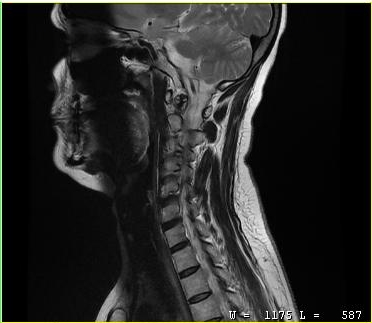
Q: What kind of scan is this?
A: MRI of the cervical spine.
Study: cervical spondylosis.